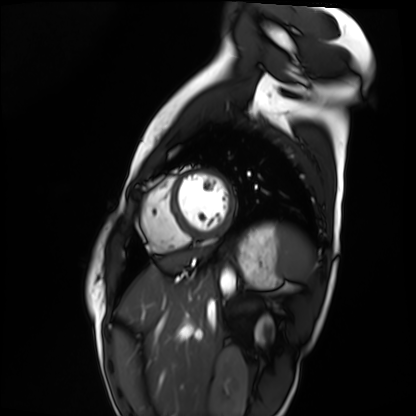
Cardiac MRI. Subject group: healthy volunteer.